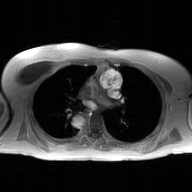
Q: What kind of scan is this?
A: 2D phase-contrast cine MRI of the ascending aorta, GAN super-resolution reconstruction.